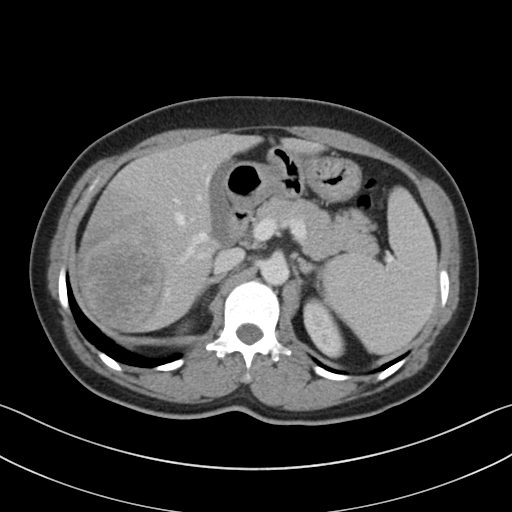
{"modality": {"type": "multiphase abdominal CT", "region": "liver", "phase": "portal venous"}, "patient": {"sex": "female", "age": 48}}